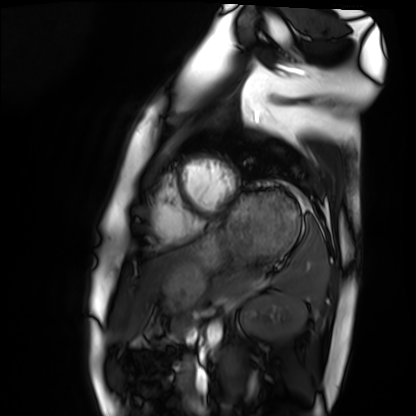
Summary:
Cardiac MRI. Subject group: healthy volunteer.